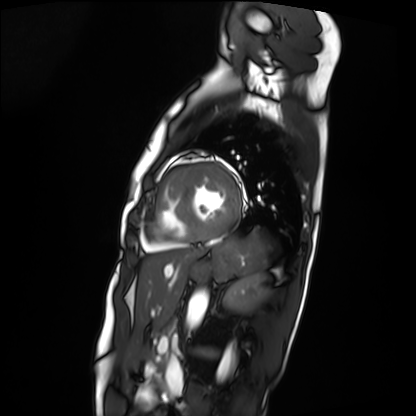
{"modality": "cardiac MRI", "cohort": "patient"}